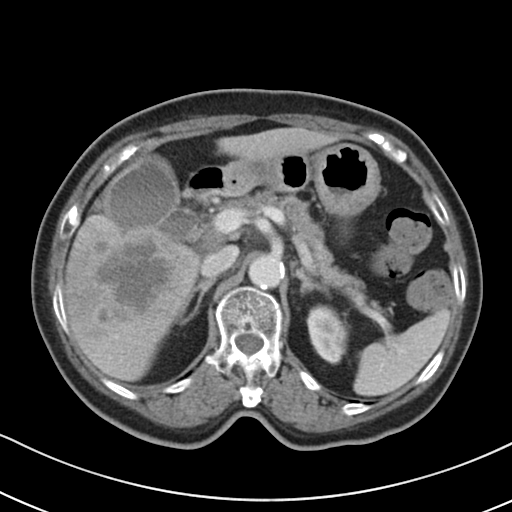
Multiphase abdominal CT, liver, portal venous phase.
Patient: female, age 72.